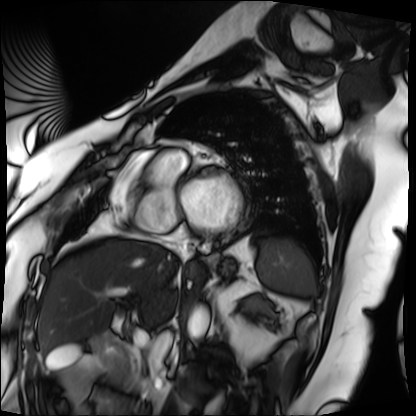
<study>
  <modality>cardiac MRI</modality>
  <cohort>patient</cohort>
</study>